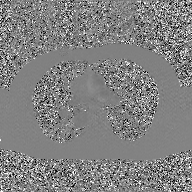
2D phase-contrast cine MRI of the ascending aorta, GAN super-resolution reconstruction.